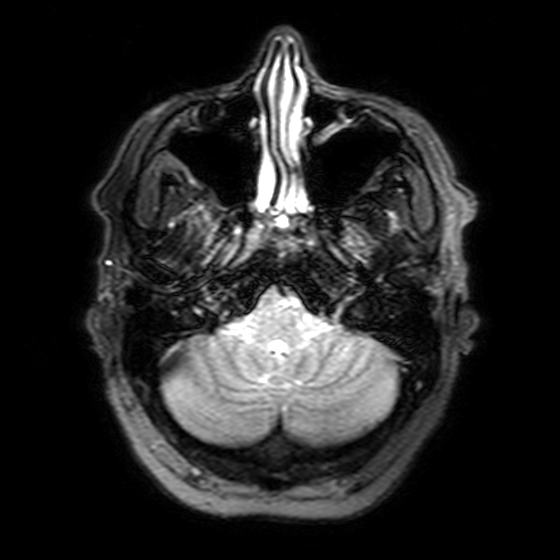
| field | value |
|---|---|
| modality | 3 Tesla brain MRI |
| series | T2-weighted FLAIR |
| study | ring-enhancing brain masses |